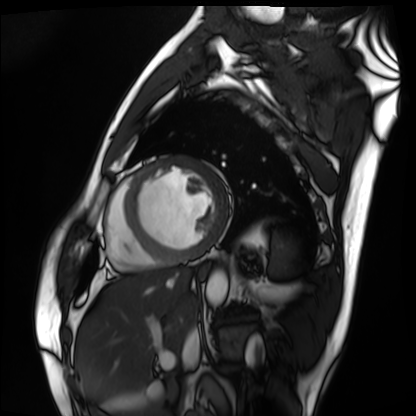
modality: cardiac MRI; subject group: patient.